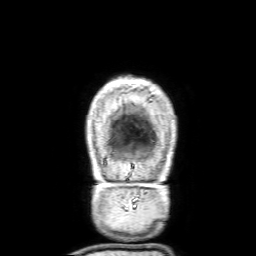
modality = 3 Tesla brain MRI | series = 3D T1-weighted with SENSE | study = ring-enhancing brain masses.